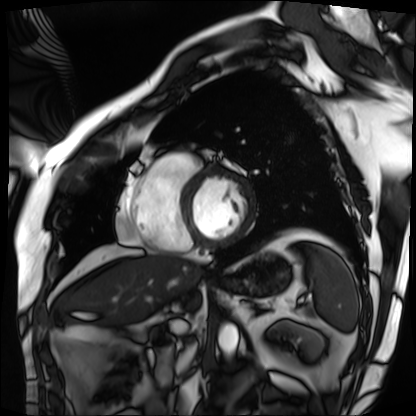
Cardiac MRI.
Subject group: patient.